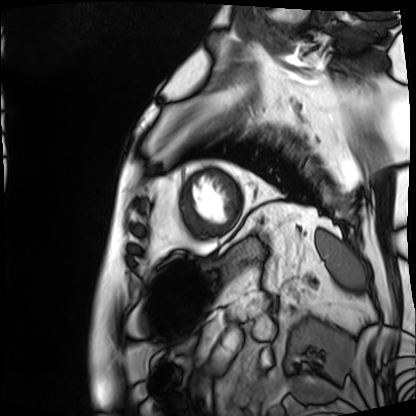
modality=cardiac MRI
subject group=patient